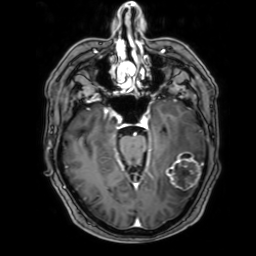
3 Tesla brain MRI. Series: 3D T1-weighted with SENSE. Study: ring-enhancing brain masses.